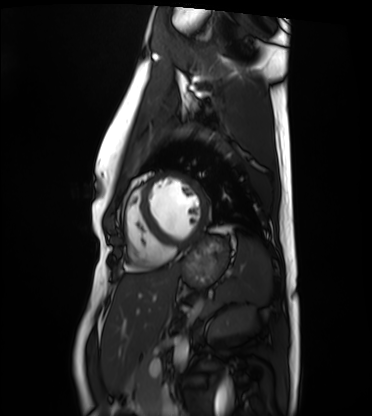
Cardiac MRI. Subject group: healthy volunteer.